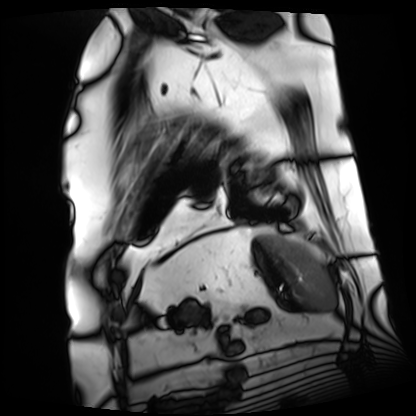
  modality: cardiac MRI
  cohort: patient